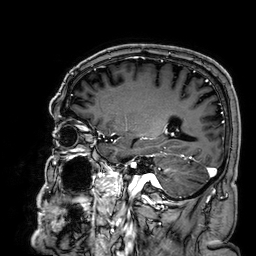
modality = 3 Tesla brain MRI; series = 3D T1-weighted; study = ring-enhancing brain masses.